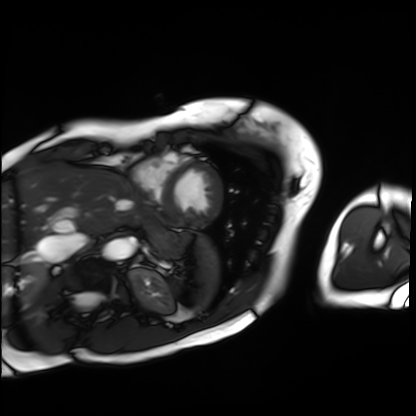
Case summary:
Cardiac MRI. Subject group: patient.